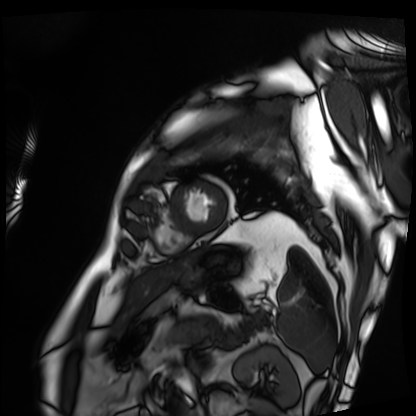
Case summary:
Cardiac MRI. Subject group: patient.